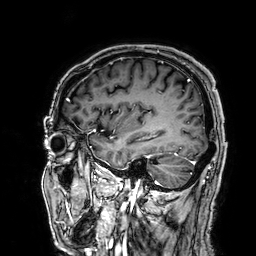
Q: What kind of scan is this?
A: 3 Tesla brain MRI.
Q: Series?
A: 3D T1-weighted.
Study: ring-enhancing brain masses.